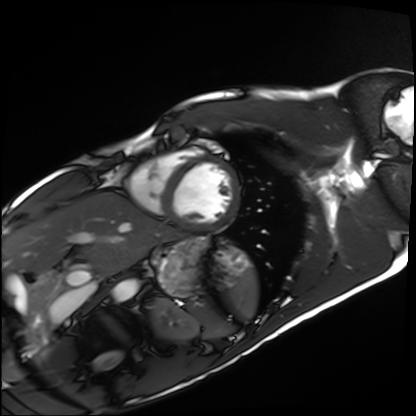
Cardiac MRI.
Subject group: healthy volunteer.